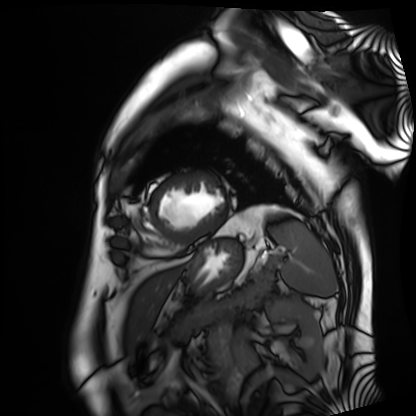
Q: What kind of scan is this?
A: Cardiac MRI.
Subject group: patient.